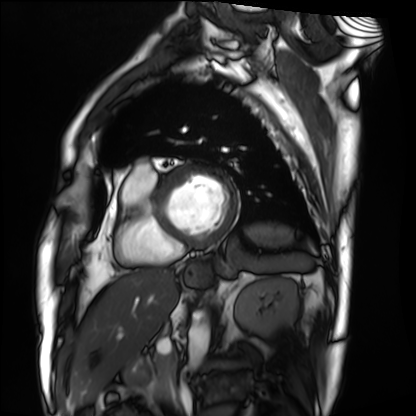
Summary:
Cardiac MRI. Subject group: patient.